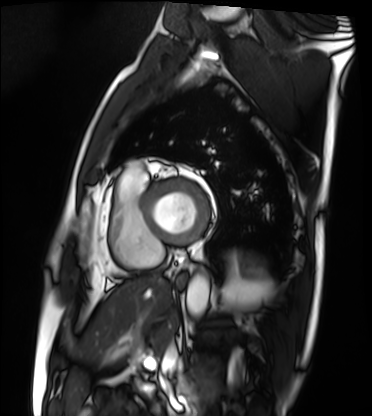
Cardiac MRI. Subject group: patient.